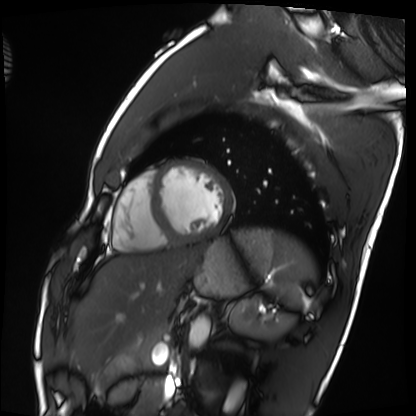
Cardiac MRI.
Subject group: healthy volunteer.